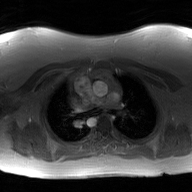
2D phase-contrast cine MRI of the ascending aorta, GAN super-resolution reconstruction.